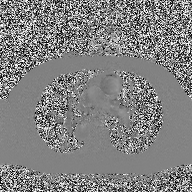
2D phase-contrast cine MRI of the ascending aorta, high-resolution GRAPPA acquisition.